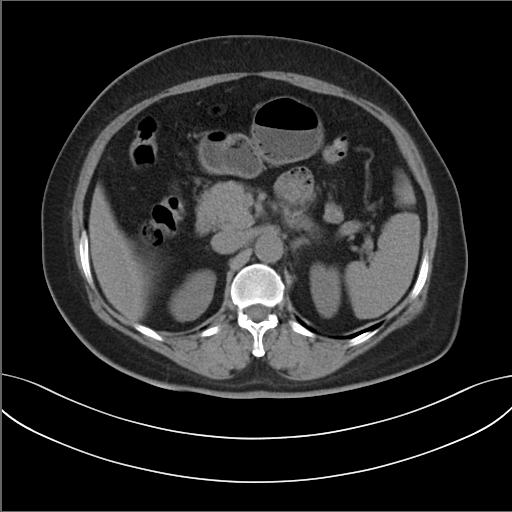
  modality:
    type: multiphase abdominal CT
    region: liver
    phase: non-contrast
  patient:
    sex: female
    age: 54
  history:
    - prior chemotherapy